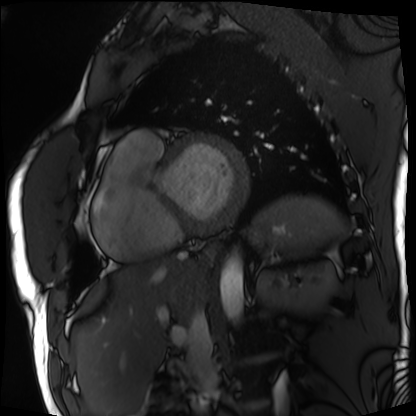
{
  "modality": "cardiac MRI",
  "cohort": "patient"
}